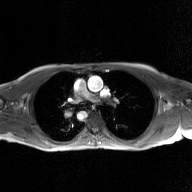
2D phase-contrast cine MRI of the ascending aorta, GAN super-resolution reconstruction.